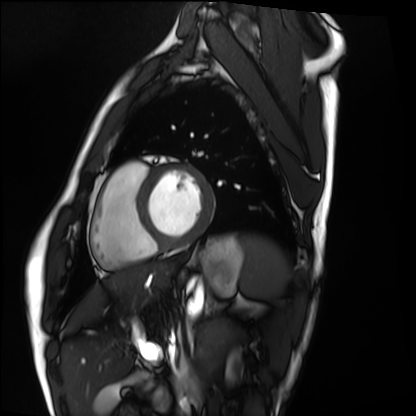
Case summary:
Cardiac MRI. Subject group: healthy volunteer.